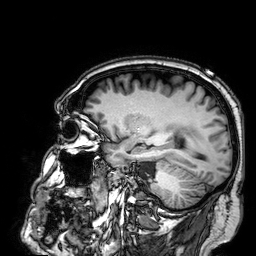
- modality: 3 Tesla brain MRI
- series: 3D T1-weighted
- study: ring-enhancing brain masses